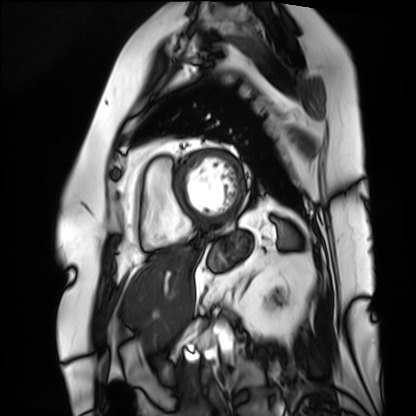
Summary:
Cardiac MRI. Subject group: patient.